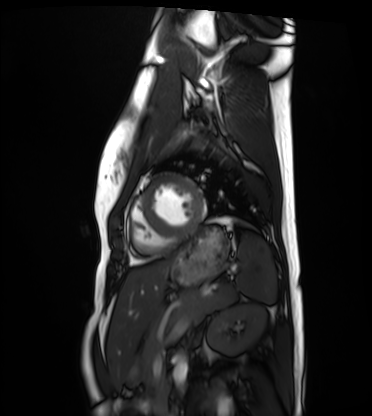
| field | value |
|---|---|
| modality | cardiac MRI |
| subject group | healthy volunteer |